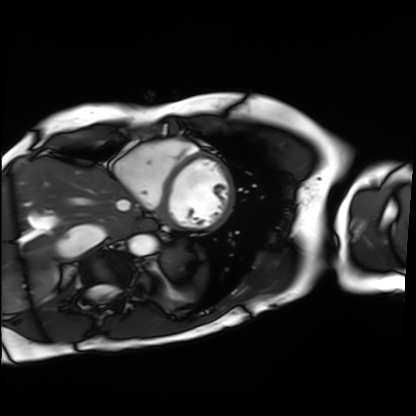
Summary: Cardiac MRI. Subject group: patient.